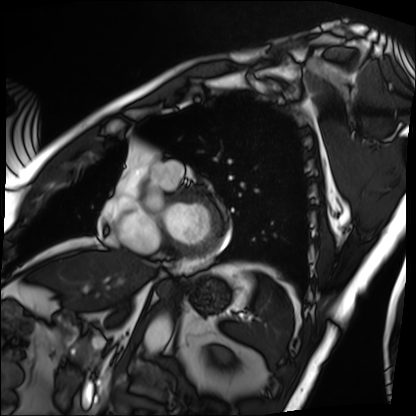
modality: cardiac MRI; subject group: patient.